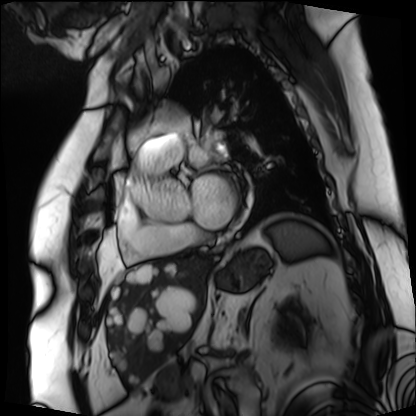
Cardiac MRI. Subject group: patient.